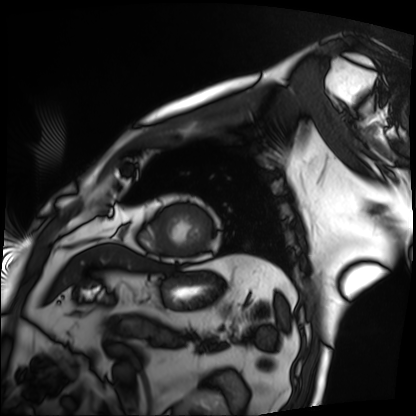
* modality · cardiac MRI
* subject group · patient